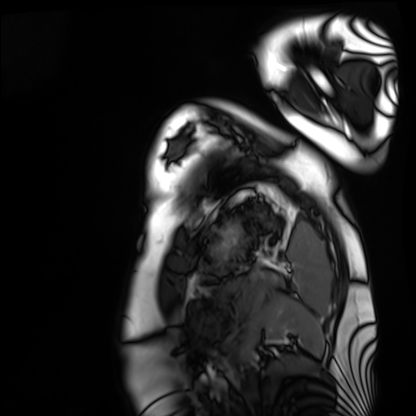
Cardiac MRI.
Subject group: healthy volunteer.